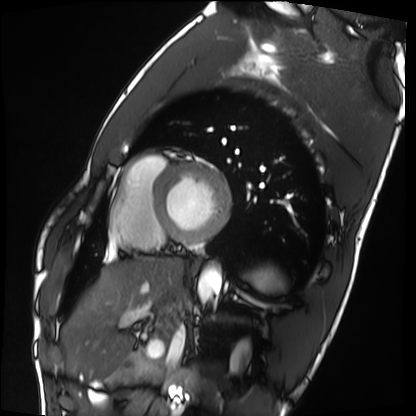
– modality — cardiac MRI
– subject group — healthy volunteer